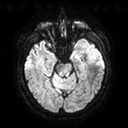
  modality:
    type: brain MRI
    field_strength: 3T
  series: diffusion tensor imaging (medium iso)
  study_topic: ring-enhancing brain masses